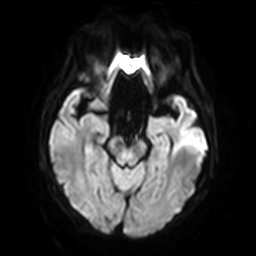
3 Tesla brain MRI. Series: diffusion-weighted imaging with SENSE (WIP). Study: ring-enhancing brain masses.